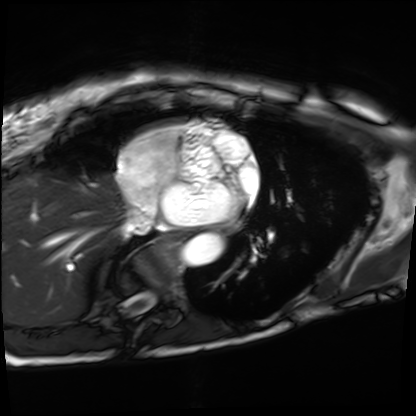
| field | value |
|---|---|
| modality | cardiac MRI |
| subject group | patient |